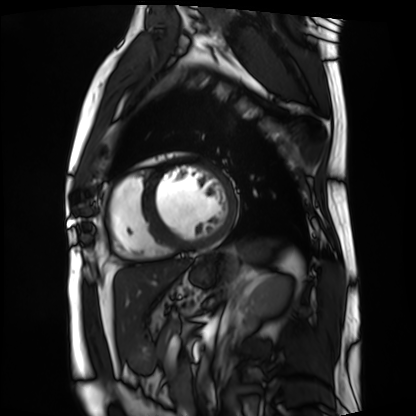
| field | value |
|---|---|
| modality | cardiac MRI |
| subject group | patient |